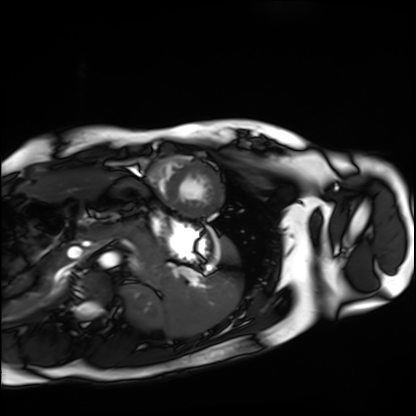
Cardiac MRI. Subject group: healthy volunteer.